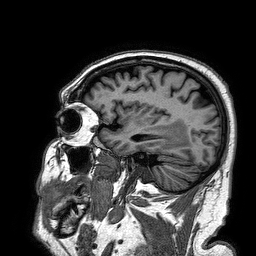
3 Tesla brain MRI. Series: 3D T1-weighted turbo field echo. Study: ring-enhancing brain masses.